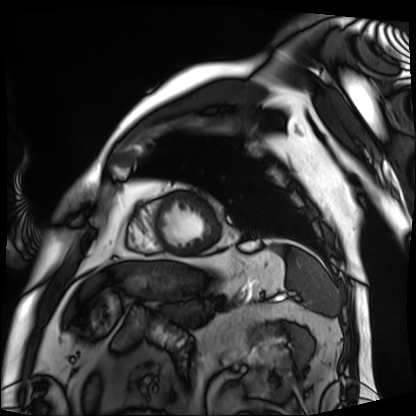
<study>
<modality>cardiac MRI</modality>
<cohort>patient</cohort>
</study>